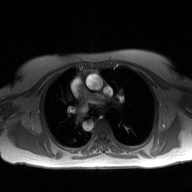
modality — 2D phase-contrast cine MRI of the ascending aorta